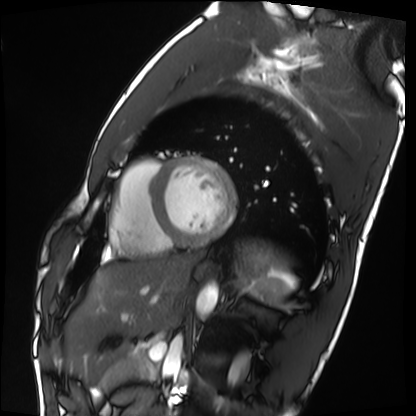
Cardiac MRI.
Subject group: healthy volunteer.